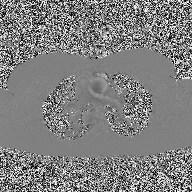
Case:
– modality: 2D phase-contrast cine MRI of the ascending aorta